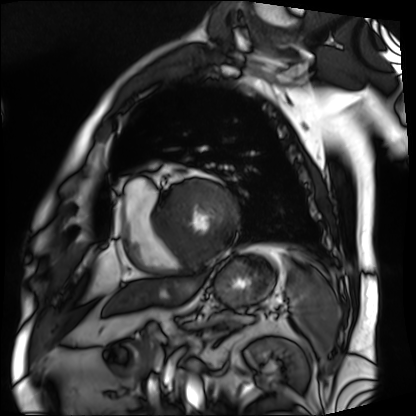
Clinical context: Cardiac MRI. Subject group: patient.